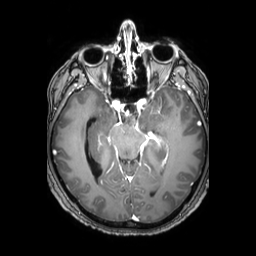
modality: 3 Tesla brain MRI | series: 3D T1-weighted TFE with SENSE | study: ring-enhancing brain masses.